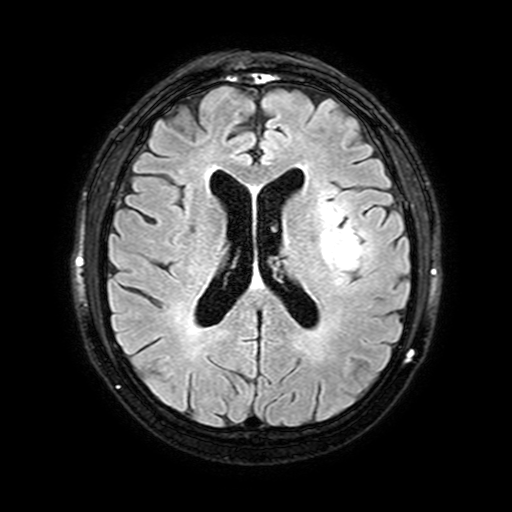
<study>
<modality>
  <type>brain MRI</type>
  <field_strength>3T</field_strength>
</modality>
<series>FLAIR with SPAIR, 3 mm</series>
<study_topic>ring-enhancing brain masses</study_topic>
</study>